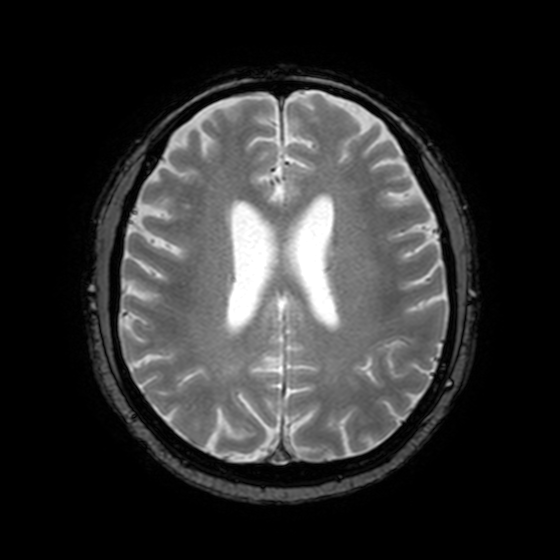
* modality — 3 Tesla brain MRI
* series — T2-weighted fast field echo with SENSE
* study — ring-enhancing brain masses